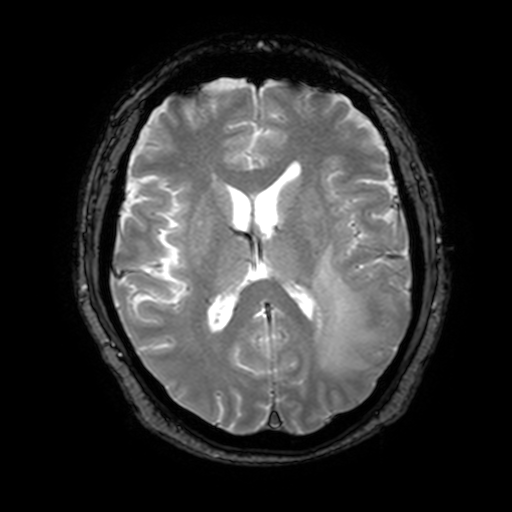
<scan>
<modality>
  <type>brain MRI</type>
  <field_strength>3T</field_strength>
</modality>
<series>T2-weighted fast field echo with SENSE</series>
<study_topic>ring-enhancing brain masses</study_topic>
</scan>